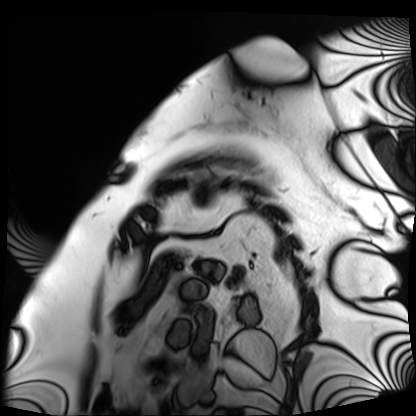
Case summary:
Cardiac MRI. Subject group: patient.